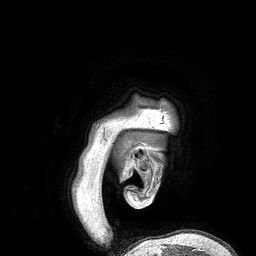
modality — 3 Tesla brain MRI | series — 3D T1-weighted turbo field echo | study — ring-enhancing brain masses.